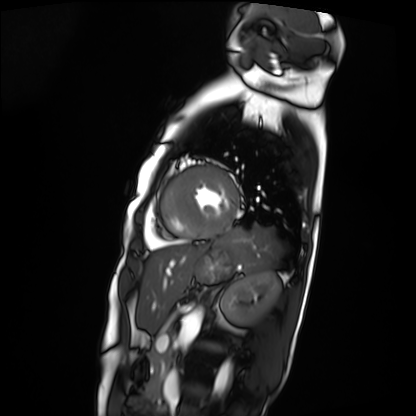
Clinical context:
Cardiac MRI. Subject group: patient.